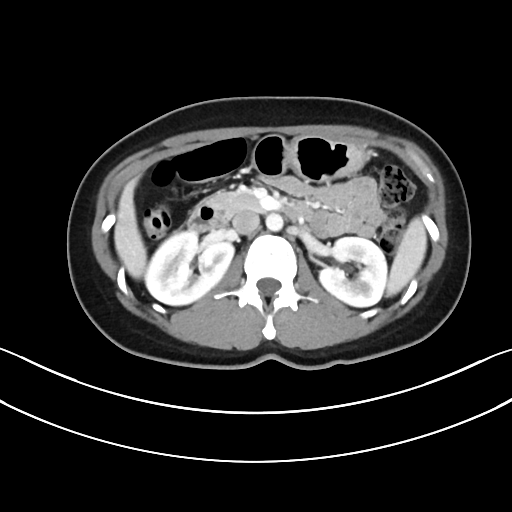
Case:
- modality — multiphase abdominal CT, liver, portal venous phase
- patient — female, age 41